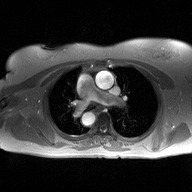
Q: What kind of scan is this?
A: 2D phase-contrast cine MRI of the ascending aorta.